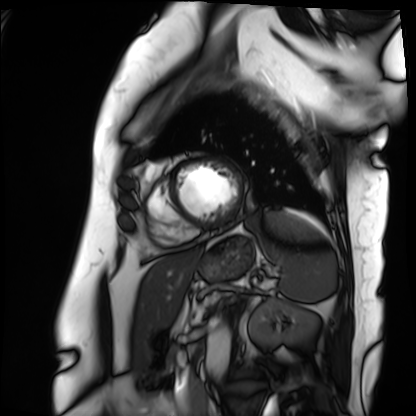
- modality — cardiac MRI
- subject group — patient